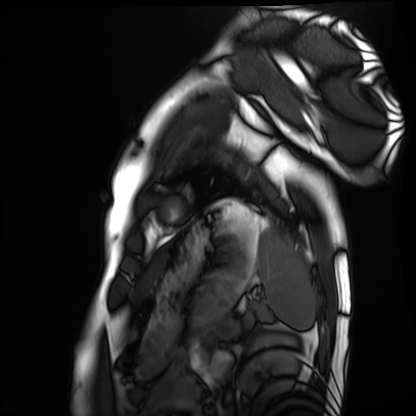
Cardiac MRI. Subject group: healthy volunteer.